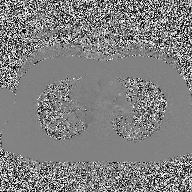
{"modality": {"type": "2D phase-contrast cine MRI", "region": "ascending aorta", "reconstruction": "high-resolution GRAPPA acquisition"}}